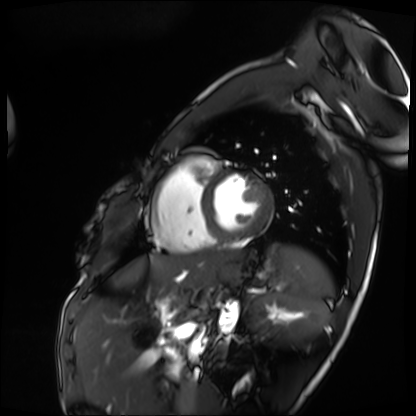
| field | value |
|---|---|
| modality | cardiac MRI |
| subject group | patient |